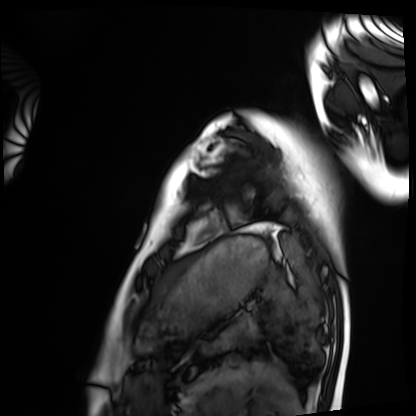
Summary: Cardiac MRI. Subject group: healthy volunteer.